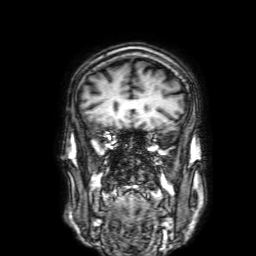
modality = 3 Tesla brain MRI | series = 3D T1-weighted with SENSE | study = ring-enhancing brain masses.